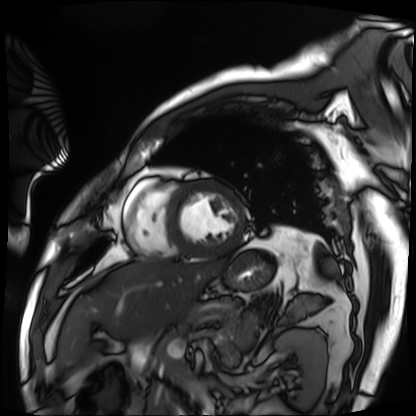
Cardiac MRI. Subject group: patient.